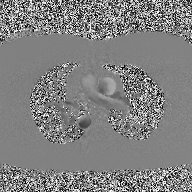
Q: What kind of scan is this?
A: 2D phase-contrast cine MRI of the ascending aorta.